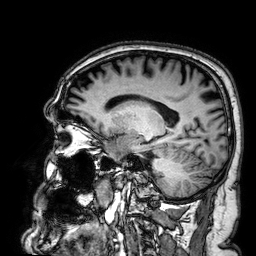
3 Tesla brain MRI.
Series: 3D T1-weighted.
Study: ring-enhancing brain masses.